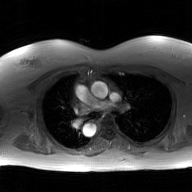
2D phase-contrast cine MRI of the ascending aorta, GAN super-resolution reconstruction.